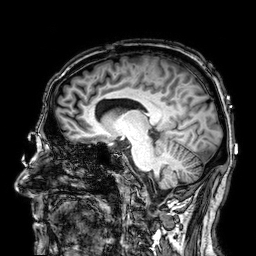
Q: What kind of scan is this?
A: 3 Tesla brain MRI.
Q: Series?
A: 3D T1-weighted.
Study: ring-enhancing brain masses.